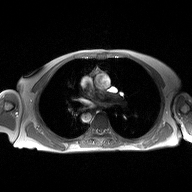
Summary:
2D phase-contrast cine MRI of the ascending aorta, high-resolution GRAPPA acquisition.